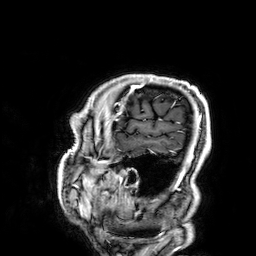
Q: What kind of scan is this?
A: 3 Tesla brain MRI.
Q: Series?
A: 3D T1-weighted.
Study: ring-enhancing brain masses.